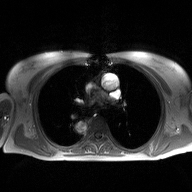
modality:
  type: 2D phase-contrast cine MRI
  region: ascending aorta
  reconstruction: high-resolution GRAPPA acquisition